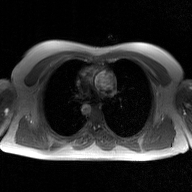
Case summary:
2D phase-contrast cine MRI of the ascending aorta, GAN super-resolution reconstruction.